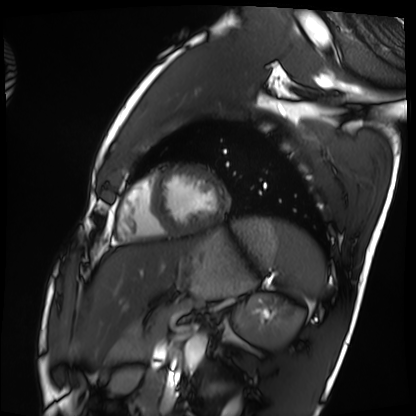
Summary: Cardiac MRI. Subject group: healthy volunteer.